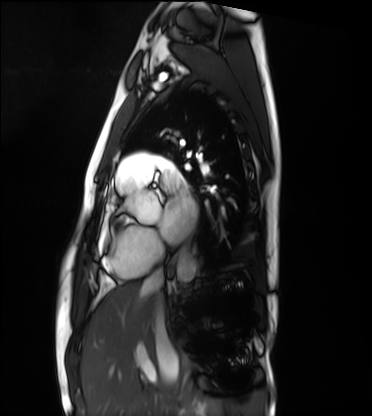
Q: What kind of scan is this?
A: Cardiac MRI.
Subject group: healthy volunteer.